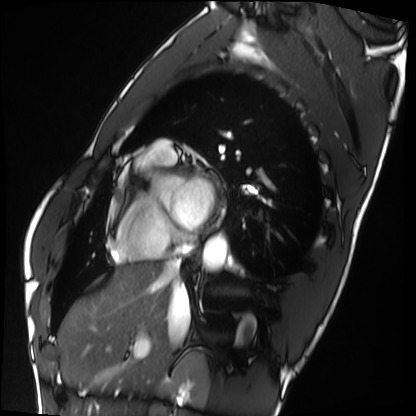
| field | value |
|---|---|
| modality | cardiac MRI |
| subject group | healthy volunteer |